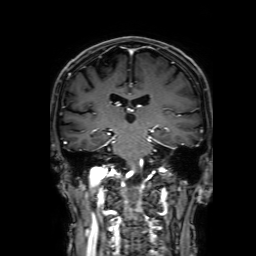
Summary:
3 Tesla brain MRI. Series: 3D T1-weighted with SENSE. Study: ring-enhancing brain masses.